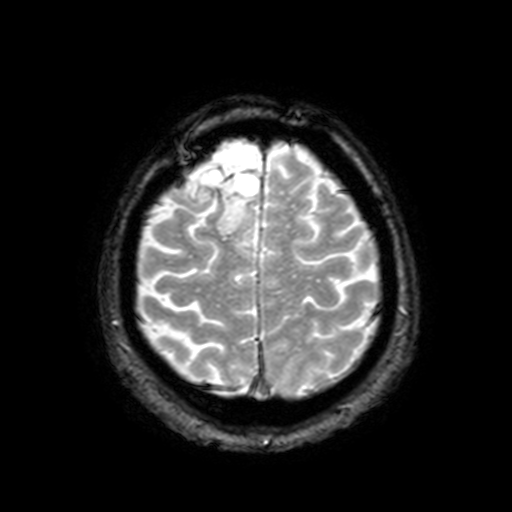
modality: 3 Tesla brain MRI
series: T2-weighted fast field echo with SENSE
study: ring-enhancing brain masses